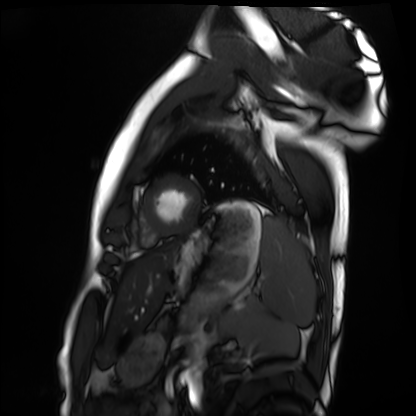
modality — cardiac MRI
subject group — healthy volunteer